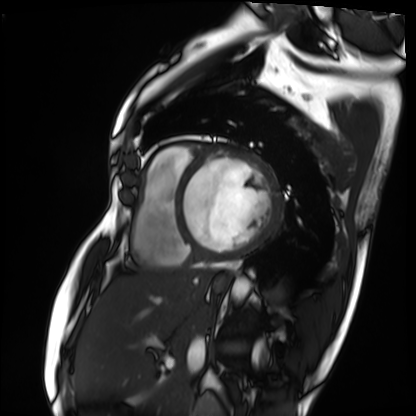
- modality — cardiac MRI
- subject group — patient